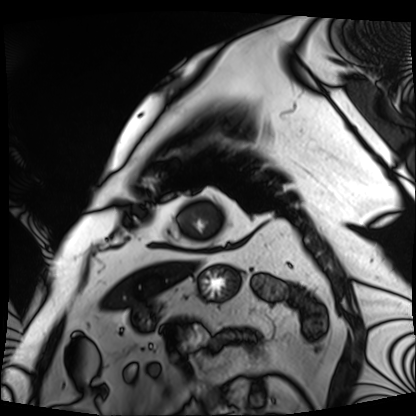
| field | value |
|---|---|
| modality | cardiac MRI |
| subject group | patient |